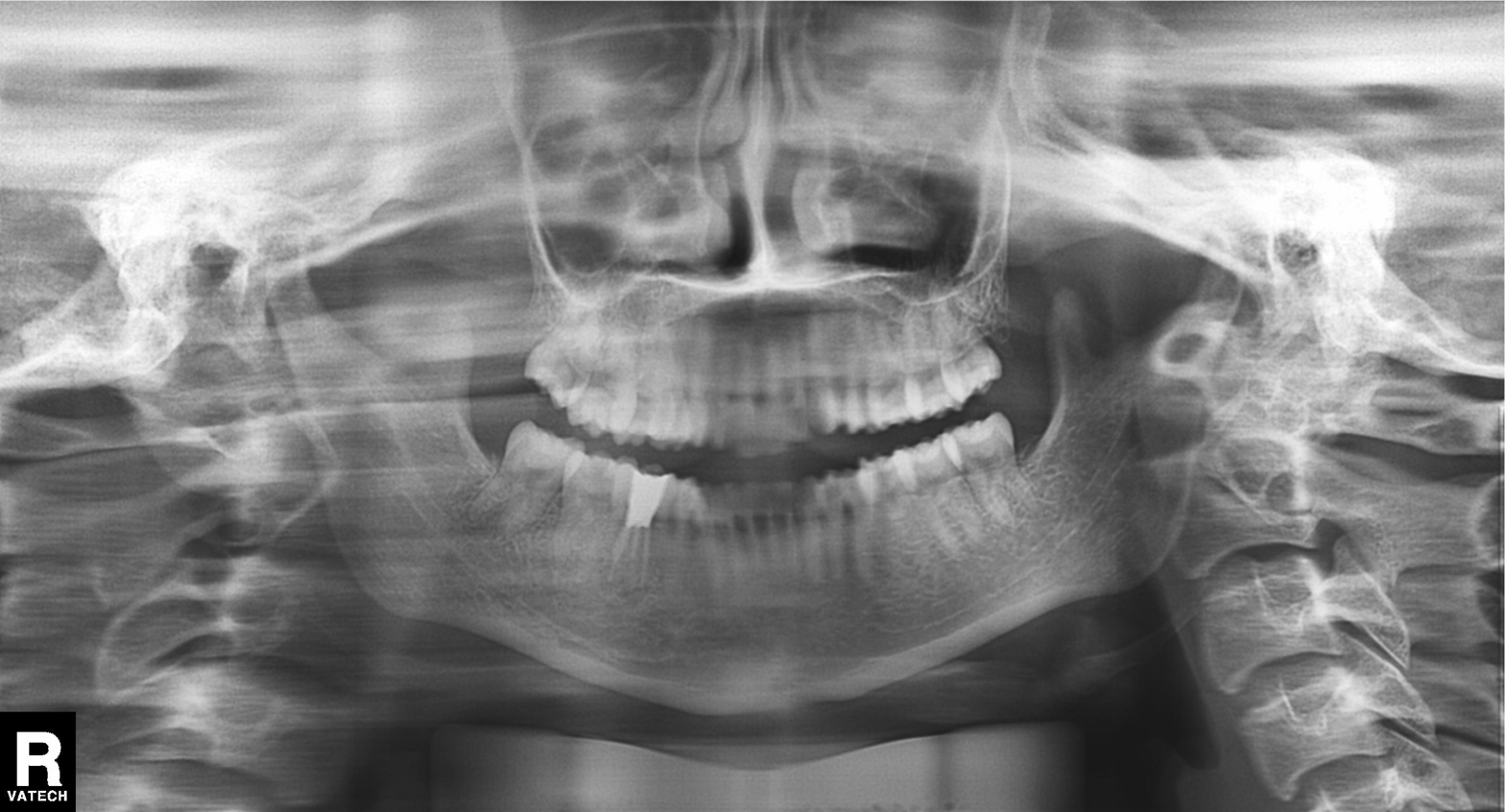
| field | value |
|---|---|
| modality | panoramic dental radiograph (orthopantomogram) |
| finding | dental caries (cavities) |